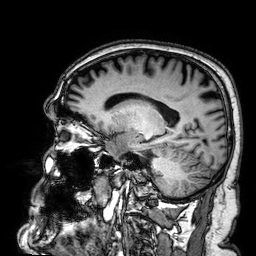
modality=3 Tesla brain MRI; series=3D T1-weighted; study=ring-enhancing brain masses.